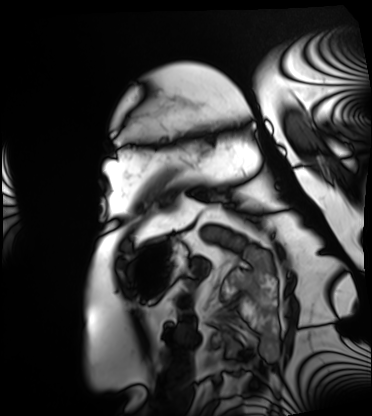
Clinical context:
Cardiac MRI. Subject group: patient.